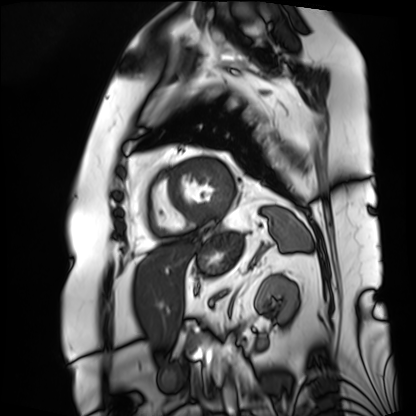
Cardiac MRI. Subject group: patient.